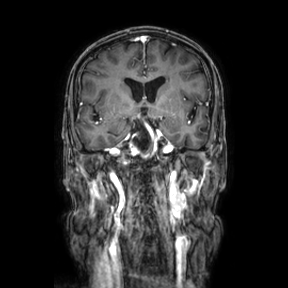
3 Tesla brain MRI.
Series: coronal.
Study: ring-enhancing brain masses.